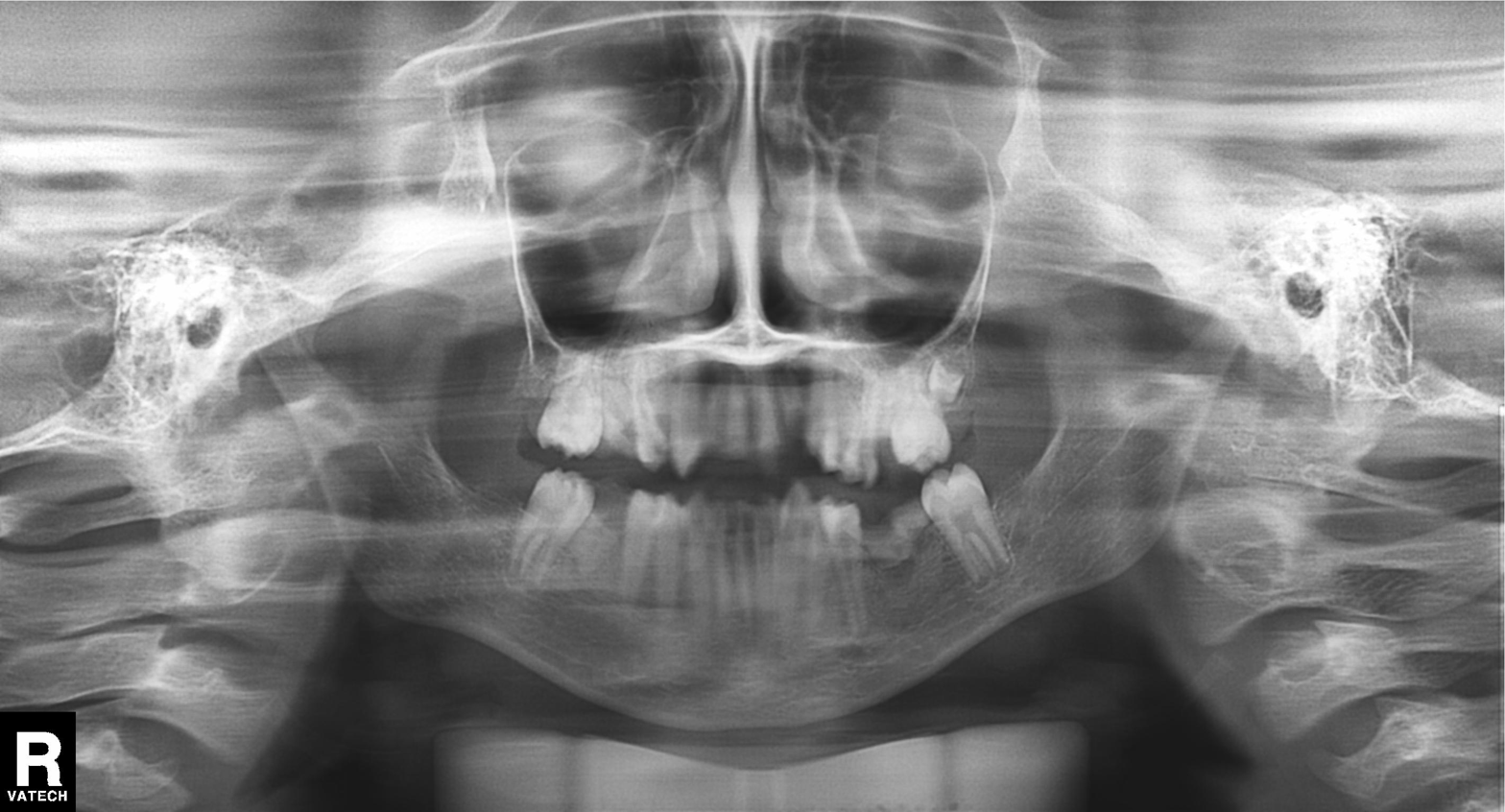
Q: What kind of scan is this?
A: Panoramic dental radiograph (orthopantomogram).
Q: What is the radiographic finding?
A: Alveolar bone loss.